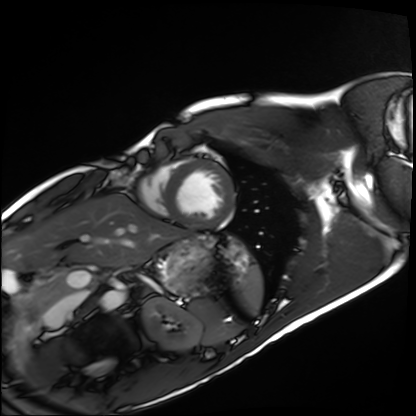
Cardiac MRI. Subject group: healthy volunteer.